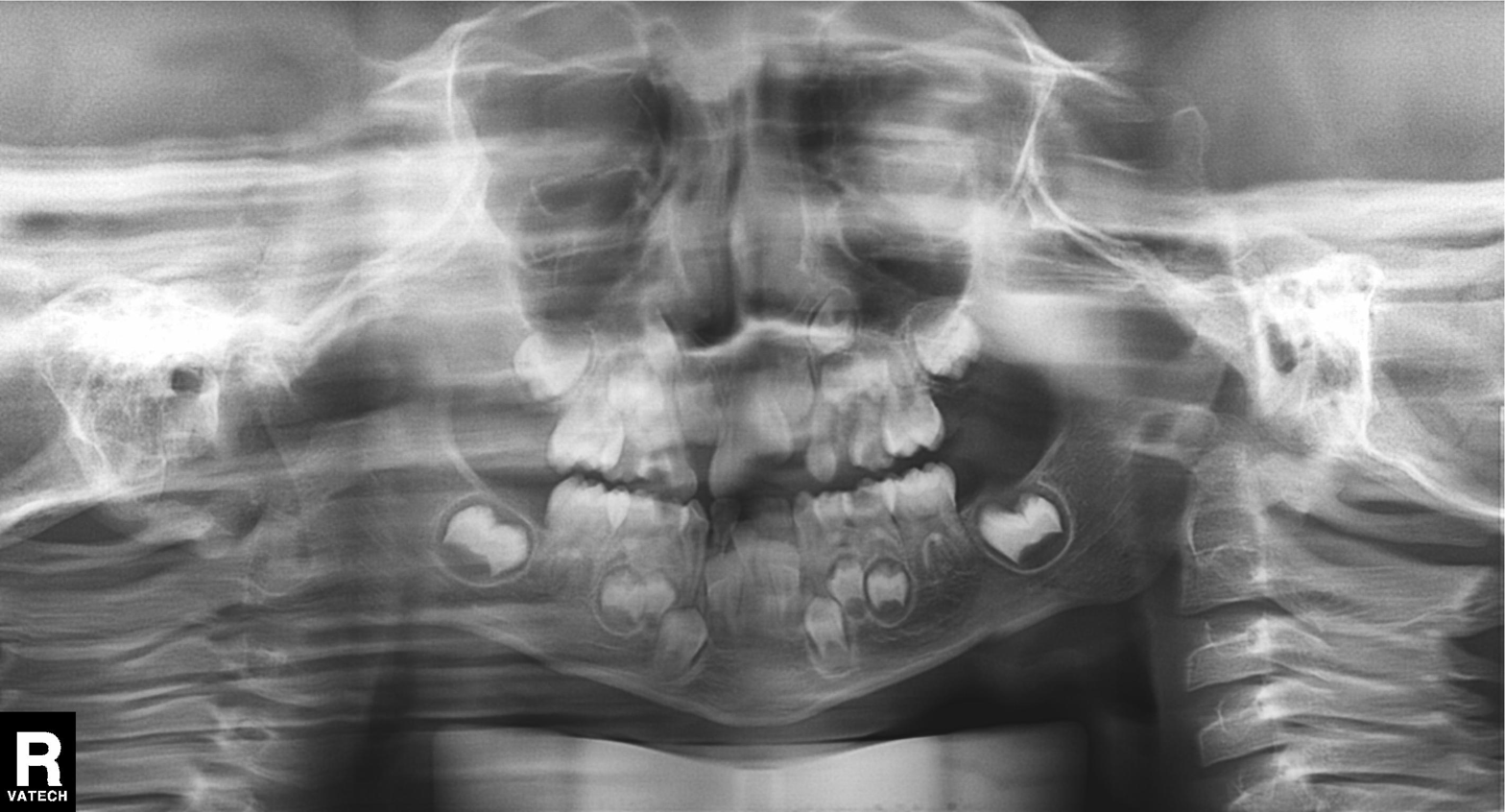
Q: What kind of scan is this?
A: Panoramic dental radiograph (orthopantomogram).
Q: What is the radiographic finding?
A: Tooth impaction.